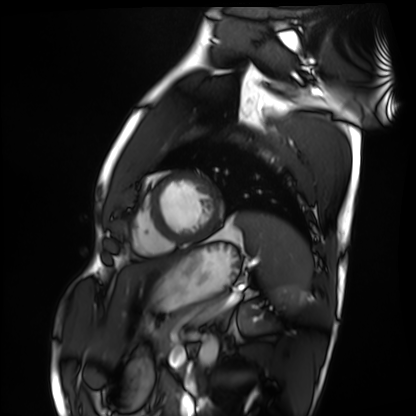
modality: cardiac MRI; subject group: healthy volunteer.